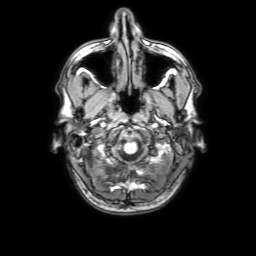
3 Tesla brain MRI. Series: 3D T1-weighted with SENSE. Study: ring-enhancing brain masses.